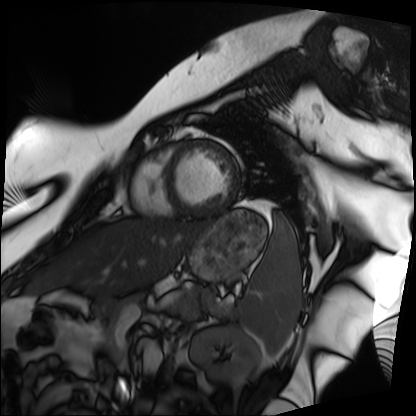
modality: cardiac MRI | subject group: patient.